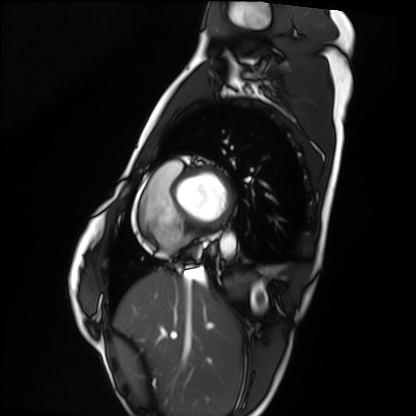
Cardiac MRI. Subject group: healthy volunteer.